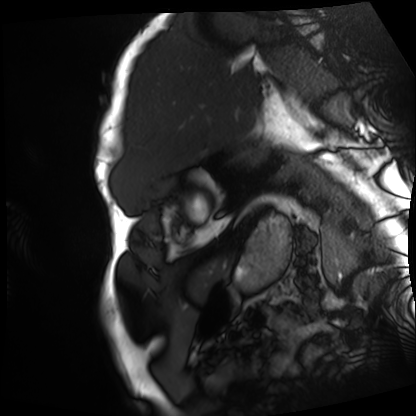
modality: cardiac MRI; subject group: patient.